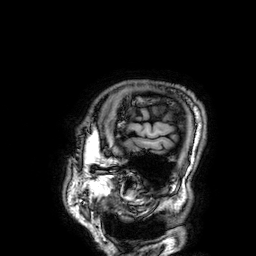
{"modality": {"type": "brain MRI", "field_strength": "3T"}, "series": "3D T1-weighted", "study_topic": "ring-enhancing brain masses"}